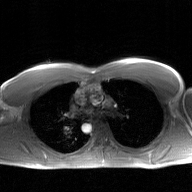
Clinical context:
2D phase-contrast cine MRI of the ascending aorta, GAN super-resolution reconstruction.